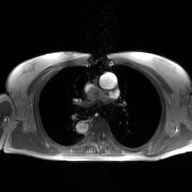
2D phase-contrast cine MRI of the ascending aorta, GAN super-resolution reconstruction.